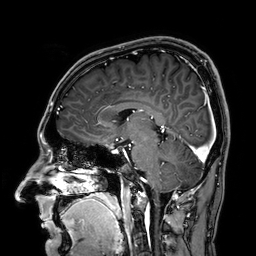
Q: What kind of scan is this?
A: 3 Tesla brain MRI.
Q: Series?
A: 3D T1-weighted.
Study: ring-enhancing brain masses.